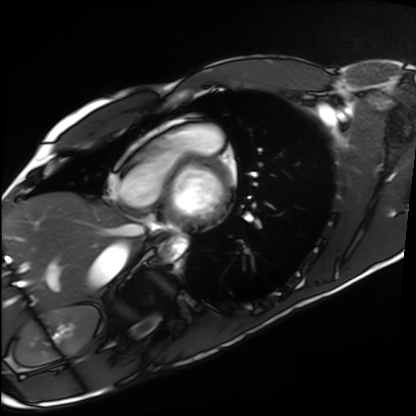
Case:
– modality: cardiac MRI
– subject group: healthy volunteer